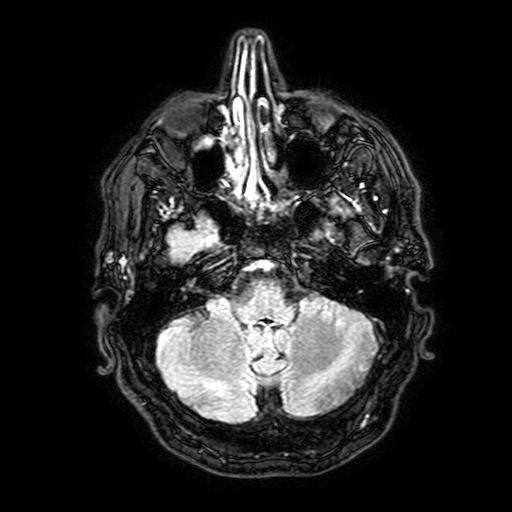
modality=3 Tesla brain MRI | series=FLAIR with SPAIR, 3 mm | study=ring-enhancing brain masses.